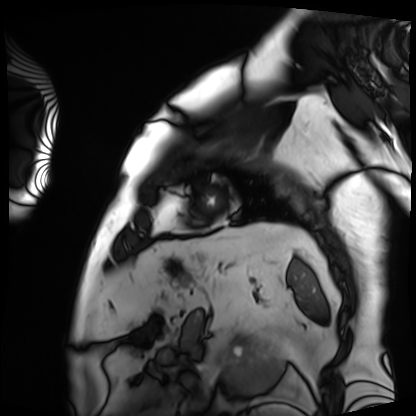
modality = cardiac MRI; subject group = patient.